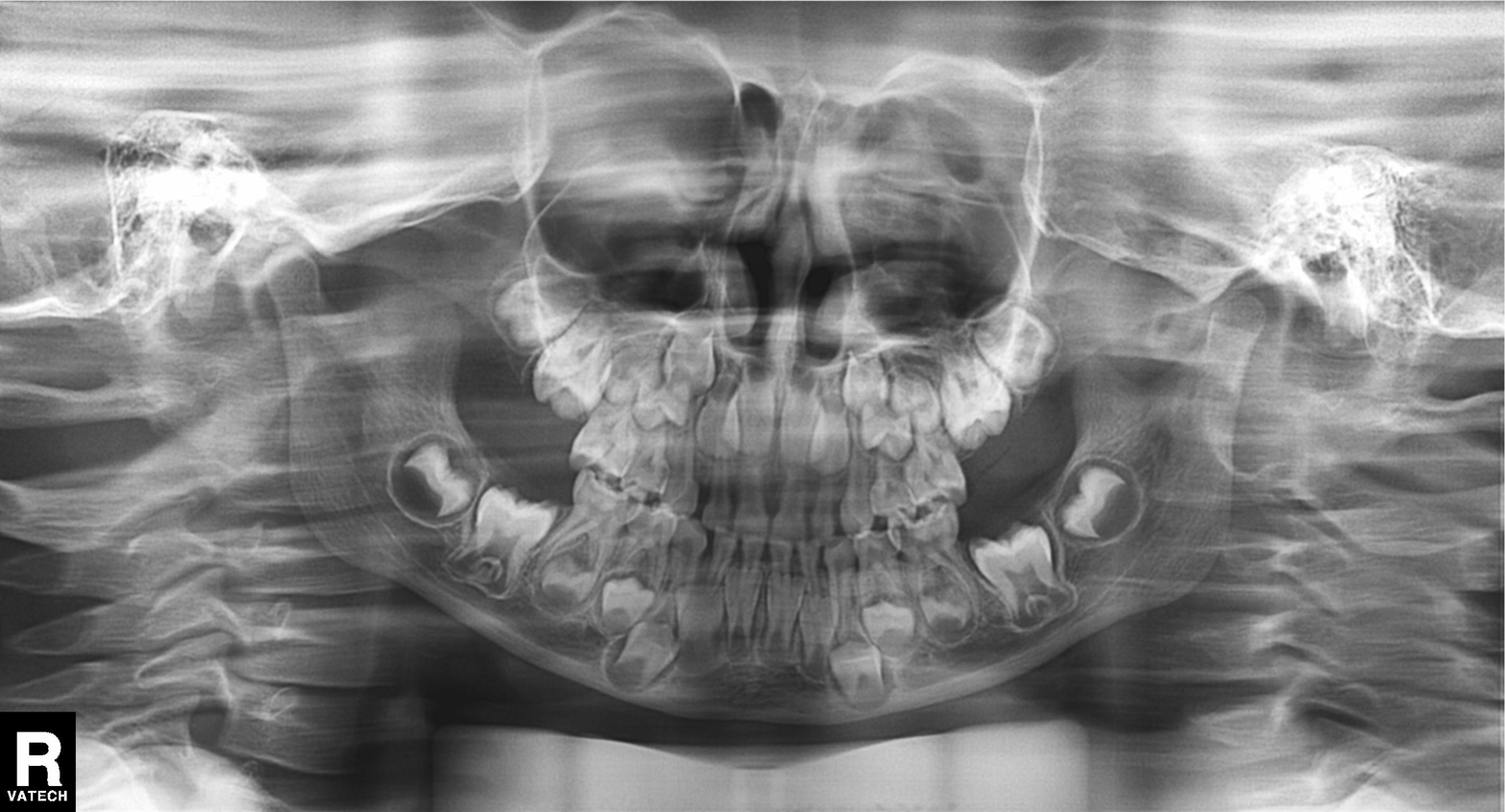
Q: What kind of scan is this?
A: Panoramic dental radiograph (orthopantomogram).
Q: What is the radiographic finding?
A: Alveolar bone loss.